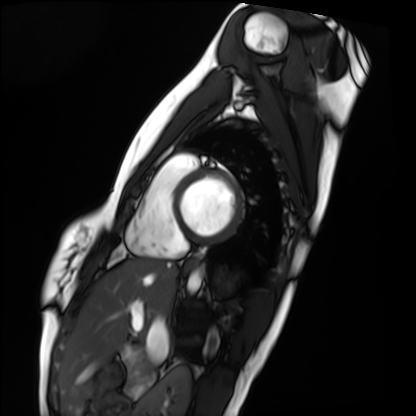
Q: What kind of scan is this?
A: Cardiac MRI.
Subject group: healthy volunteer.